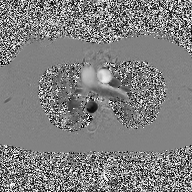
  modality:
    type: 2D phase-contrast cine MRI
    region: ascending aorta
    reconstruction: high-resolution GRAPPA acquisition